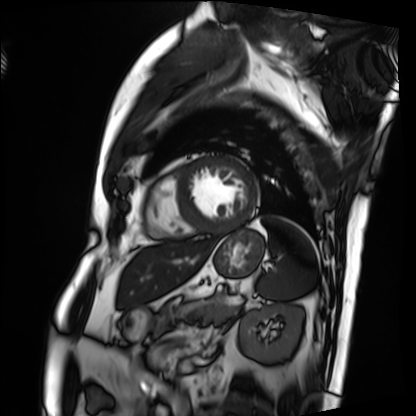
Cardiac MRI. Subject group: patient.